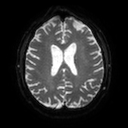
modality = 3 Tesla brain MRI; series = diffusion tensor imaging (medium iso); study = ring-enhancing brain masses.